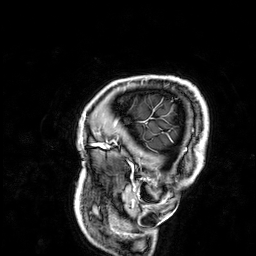
– modality · 3 Tesla brain MRI
– series · 3D T1-weighted
– study · ring-enhancing brain masses